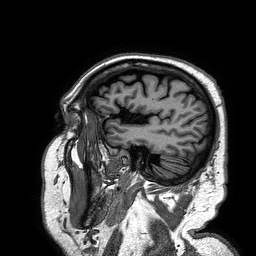
Summary:
3 Tesla brain MRI. Series: 3D T1-weighted turbo field echo. Study: ring-enhancing brain masses.